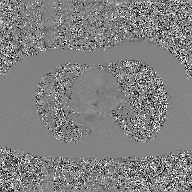
2D phase-contrast cine MRI of the ascending aorta, GAN super-resolution reconstruction.